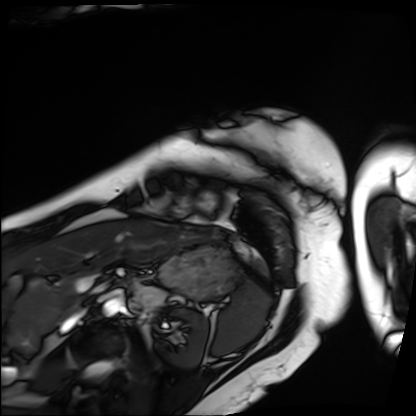
Cardiac MRI.
Subject group: patient.